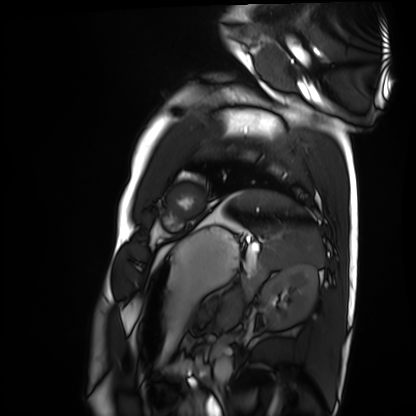
{
  "modality": "cardiac MRI",
  "cohort": "healthy volunteer"
}